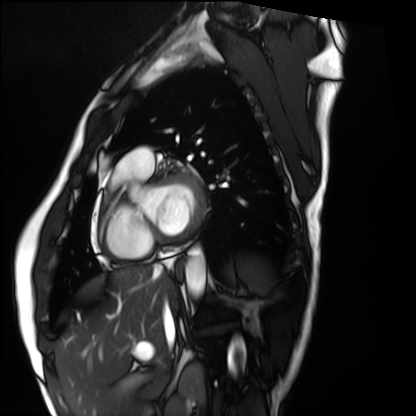
modality: cardiac MRI | subject group: healthy volunteer.